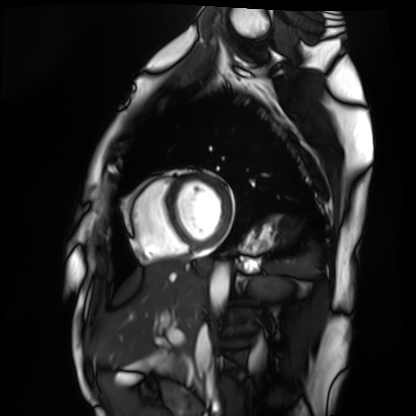
  modality: cardiac MRI
  cohort: healthy volunteer